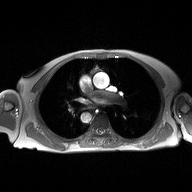
2D phase-contrast cine MRI of the ascending aorta, high-resolution GRAPPA acquisition.